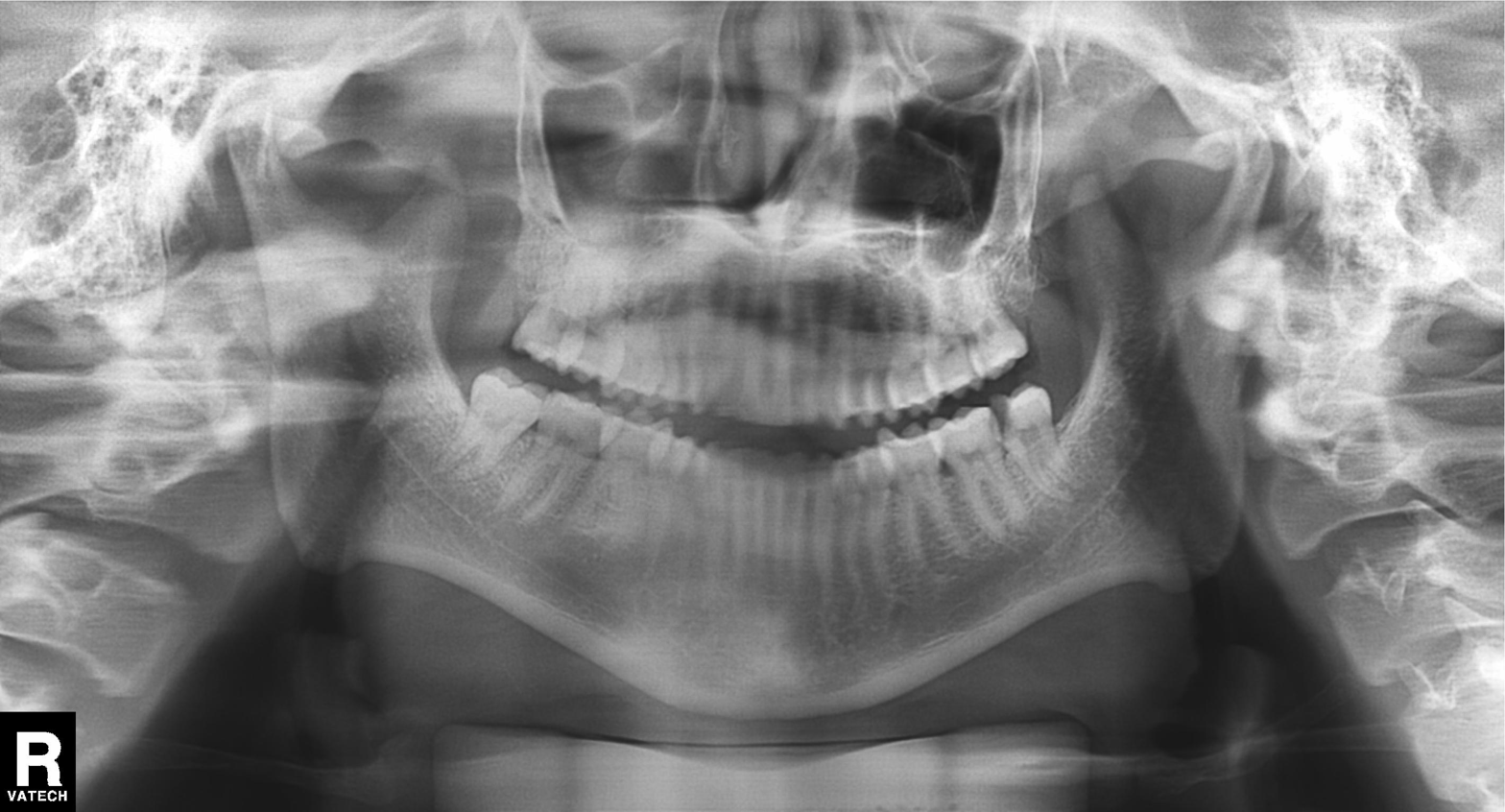
Q: What kind of scan is this?
A: Panoramic dental radiograph (orthopantomogram).
Q: What is the radiographic finding?
A: Alveolar bone loss.